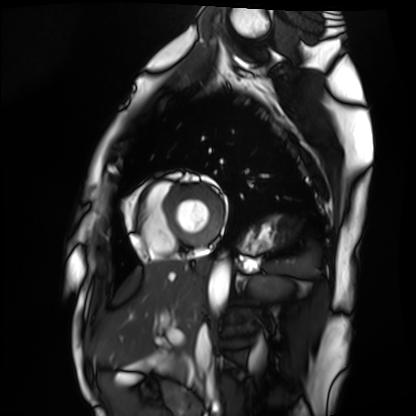
– modality · cardiac MRI
– subject group · healthy volunteer